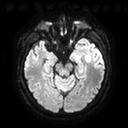
modality=3 Tesla brain MRI | series=diffusion tensor imaging (medium iso) | study=ring-enhancing brain masses.